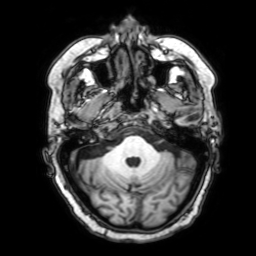
Q: What kind of scan is this?
A: 3 Tesla brain MRI.
Study: ring-enhancing brain masses.